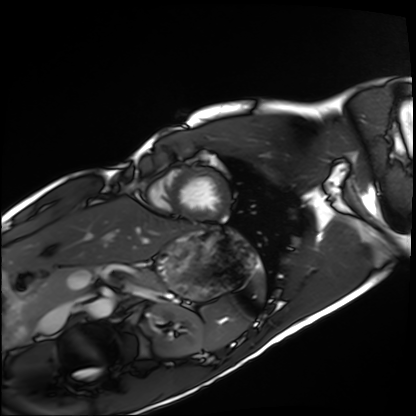
modality: cardiac MRI | subject group: healthy volunteer.